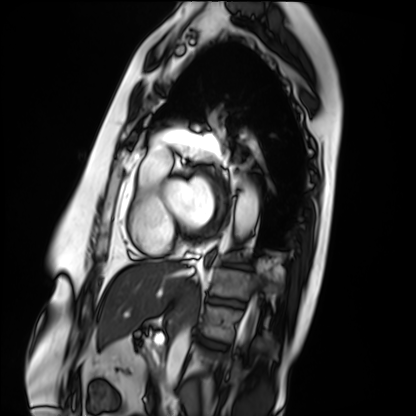
Cardiac MRI. Subject group: patient.